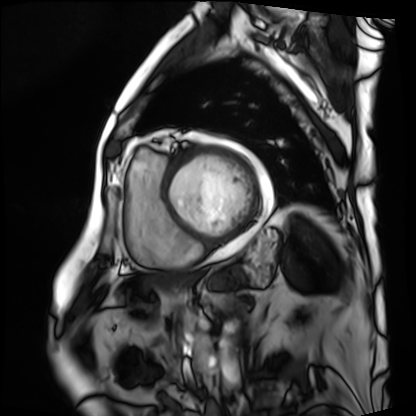
| field | value |
|---|---|
| modality | cardiac MRI |
| subject group | patient |